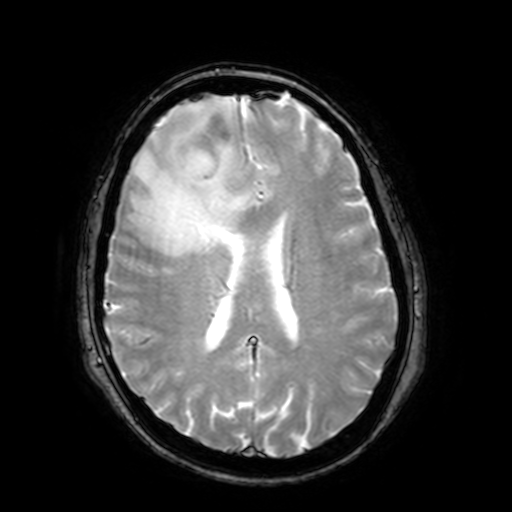
3 Tesla brain MRI. Series: T2-weighted fast field echo with SENSE. Study: ring-enhancing brain masses.